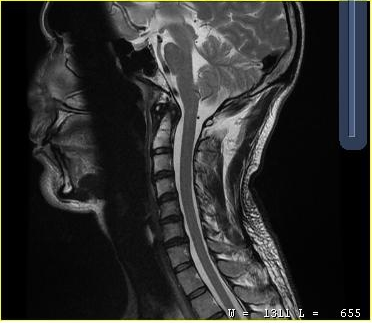
MRI of the cervical spine. Study: cervical spondylosis.